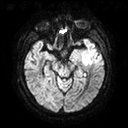
3 Tesla brain MRI. Series: diffusion tensor imaging (medium iso). Study: ring-enhancing brain masses.